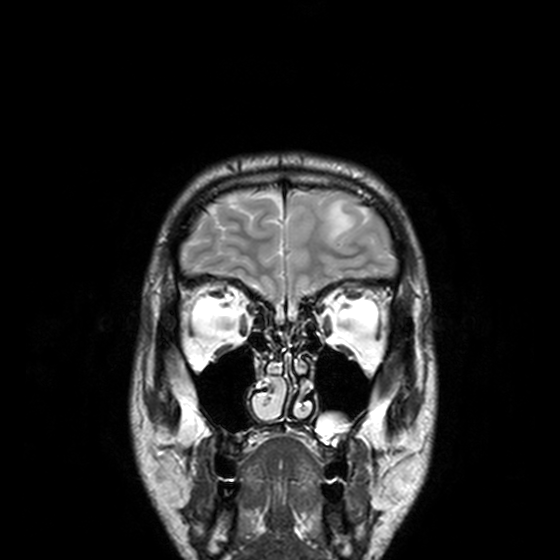
Q: What kind of scan is this?
A: 3 Tesla brain MRI.
Q: Series?
A: T2-weighted turbo spin echo, 3 mm.
Study: ring-enhancing brain masses.